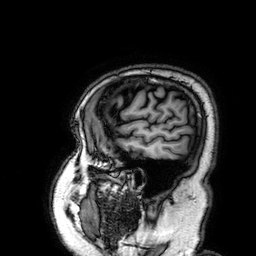
Summary:
3 Tesla brain MRI. Series: 3D T1-weighted. Study: ring-enhancing brain masses.